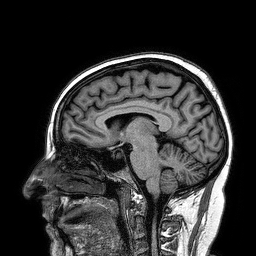
Clinical context:
3 Tesla brain MRI. Series: 3D T1-weighted turbo field echo. Study: ring-enhancing brain masses.